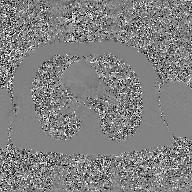
• modality: 2D phase-contrast cine MRI of the ascending aorta, GAN super-resolution reconstruction